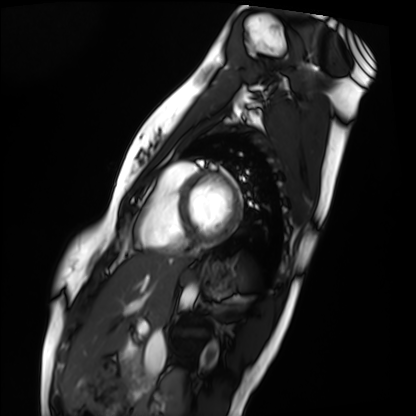
Summary: Cardiac MRI. Subject group: healthy volunteer.